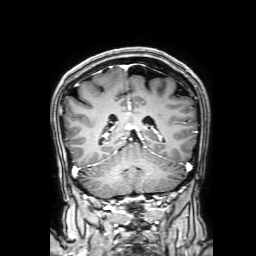
modality: 3 Tesla brain MRI
series: 3D T1-weighted with SENSE
study: ring-enhancing brain masses